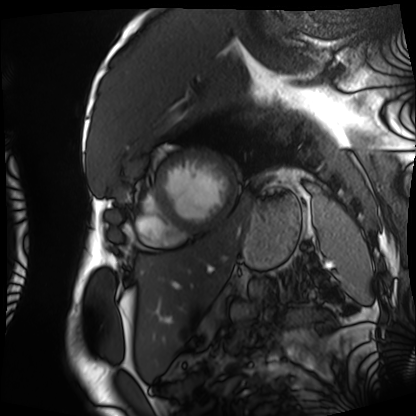
Cardiac MRI.
Subject group: patient.